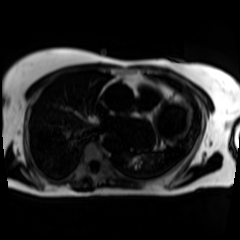
Case summary: Chemical-shift-encoded cardiac MRI.